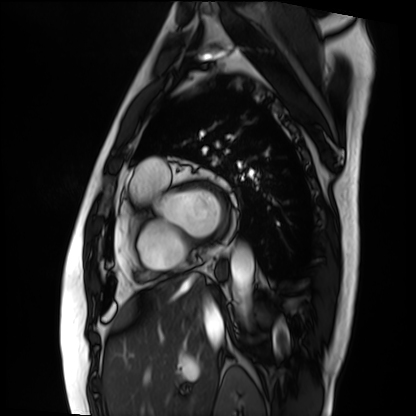
modality = cardiac MRI; subject group = patient.